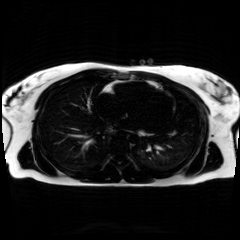
Summary:
Chemical-shift-encoded cardiac MRI.